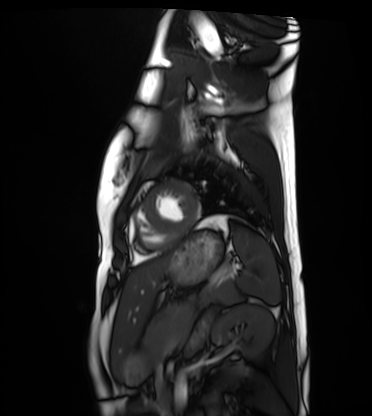
Cardiac MRI.
Subject group: healthy volunteer.